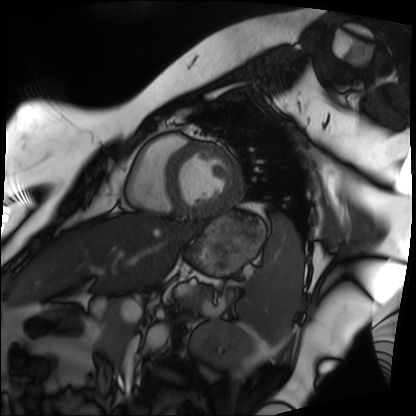
Case summary: Cardiac MRI. Subject group: patient.